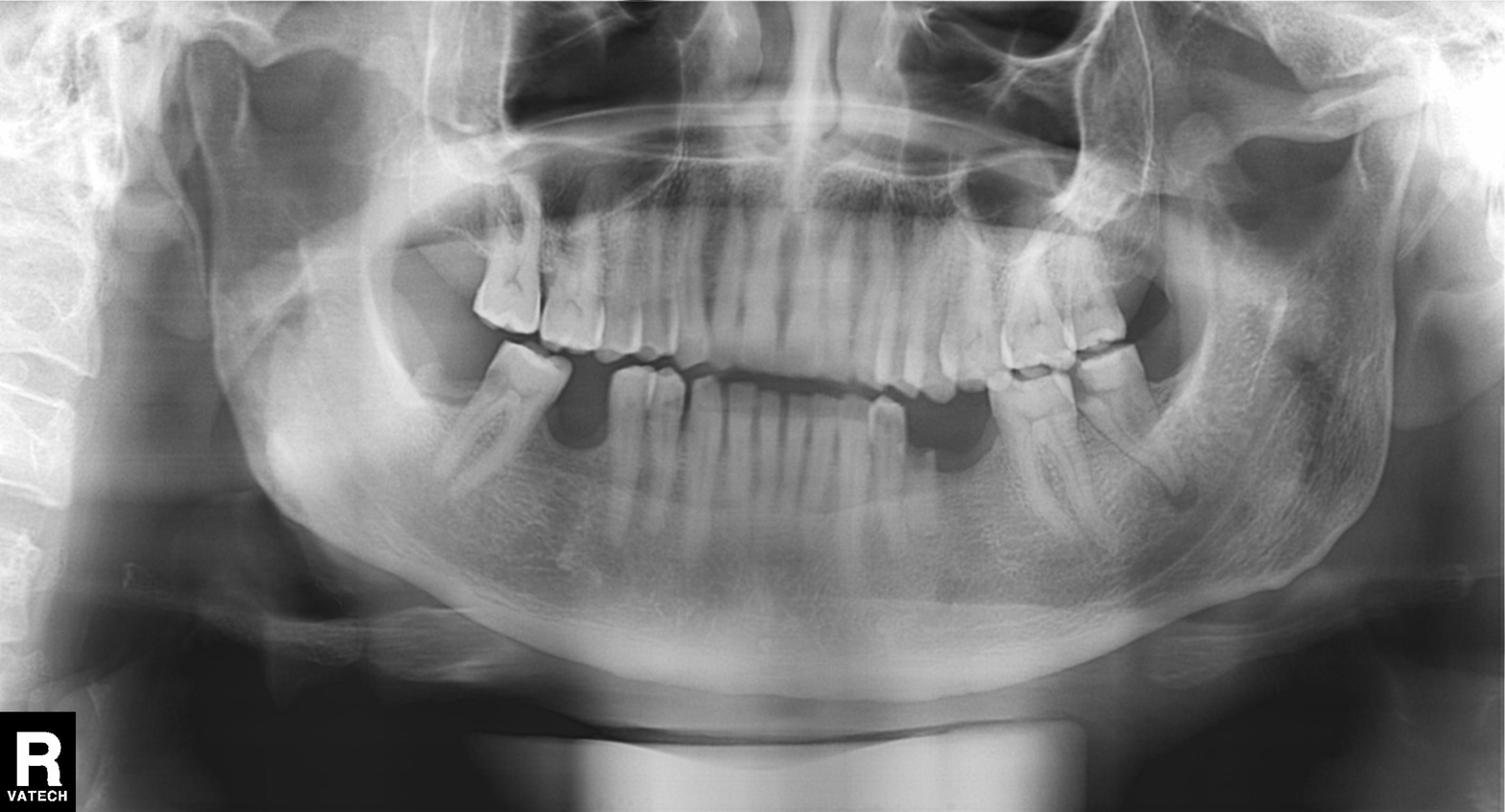
| field | value |
|---|---|
| modality | panoramic dental radiograph (orthopantomogram) |
| finding | tooth impaction |